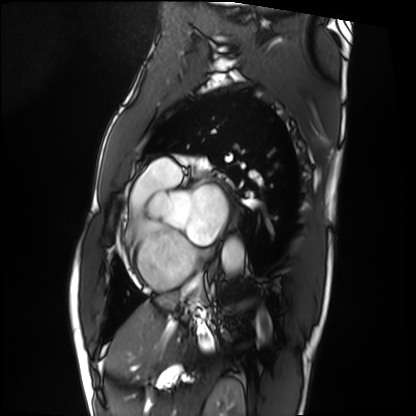
Clinical context:
Cardiac MRI. Subject group: patient.